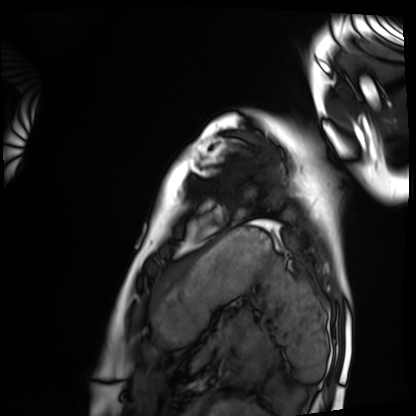
| field | value |
|---|---|
| modality | cardiac MRI |
| subject group | healthy volunteer |